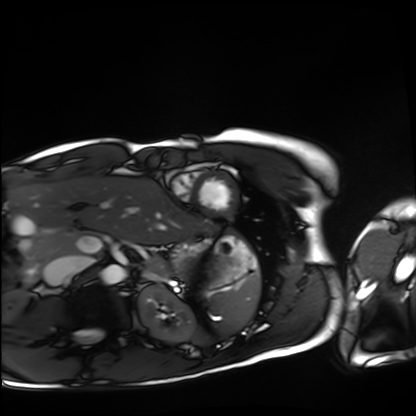
Q: What kind of scan is this?
A: Cardiac MRI.
Subject group: healthy volunteer.